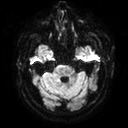
Case:
* modality: 3 Tesla brain MRI
* study: ring-enhancing brain masses